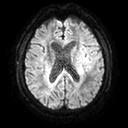
| field | value |
|---|---|
| modality | 3 Tesla brain MRI |
| series | diffusion tensor imaging (medium iso) |
| study | ring-enhancing brain masses |